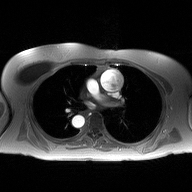
<study>
<modality>
  <type>2D phase-contrast cine MRI</type>
  <region>ascending aorta</region>
  <reconstruction>high-resolution GRAPPA acquisition</reconstruction>
</modality>
</study>